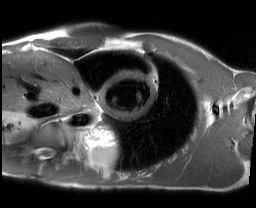
modality: cardiac MRI
subject group: healthy volunteer